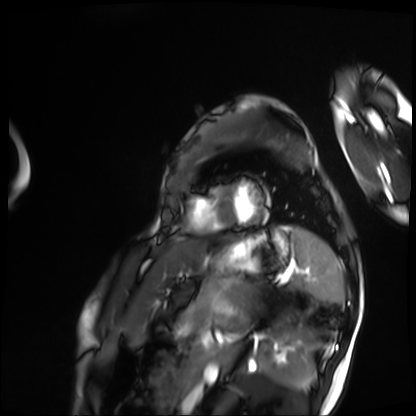
Cardiac MRI. Subject group: patient.